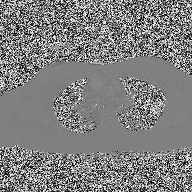
Q: What kind of scan is this?
A: 2D phase-contrast cine MRI of the ascending aorta.